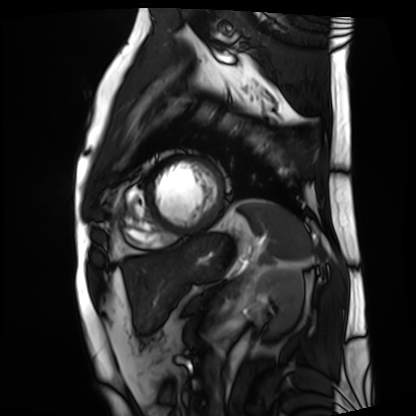
{
  "modality": "cardiac MRI",
  "cohort": "patient"
}